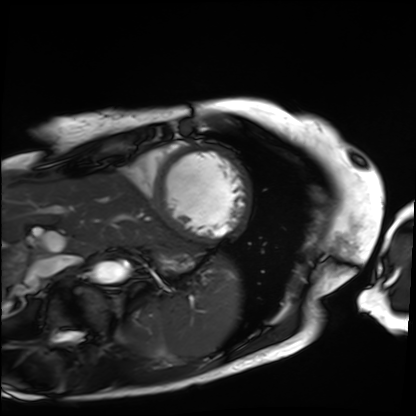
modality: cardiac MRI | subject group: patient.